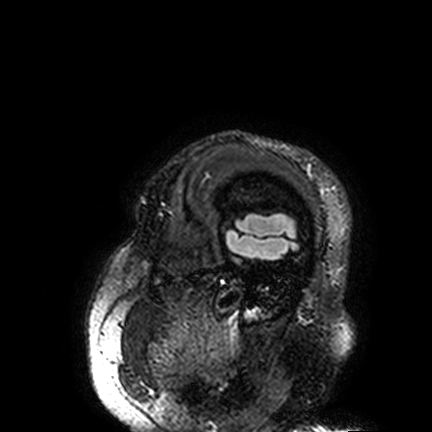
{
  "modality": {
    "type": "brain MRI",
    "field_strength": "3T"
  },
  "series": "FLAIR VISTA",
  "study_topic": "ring-enhancing brain masses"
}